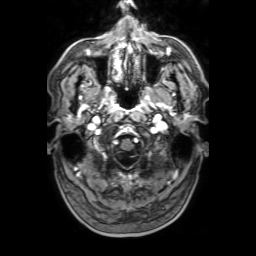
3 Tesla brain MRI. Series: 3D T1-weighted with SENSE. Study: ring-enhancing brain masses.